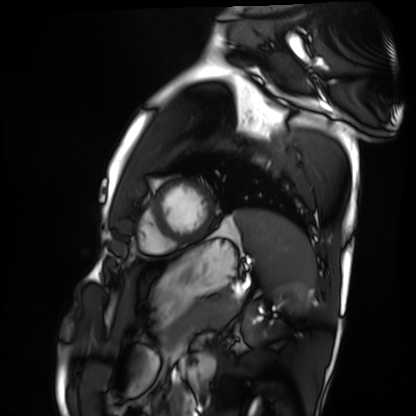
Cardiac MRI.
Subject group: healthy volunteer.